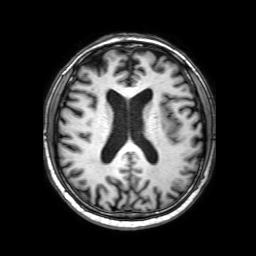
modality: 3 Tesla brain MRI
series: 3D T1-weighted with SENSE
study: ring-enhancing brain masses